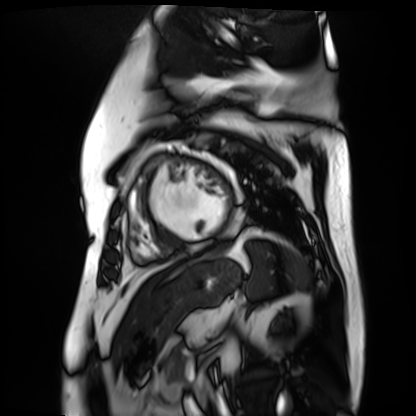
Q: What kind of scan is this?
A: Cardiac MR image of the myocardium.
Subject cohort: cardiac patient.